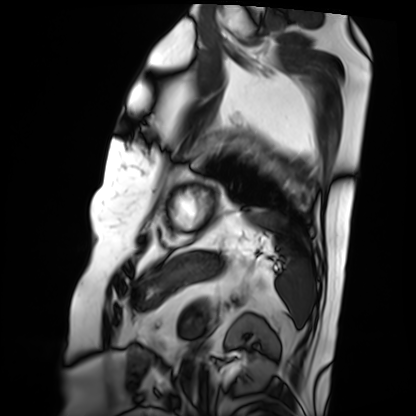
Cardiac MRI. Subject group: patient.